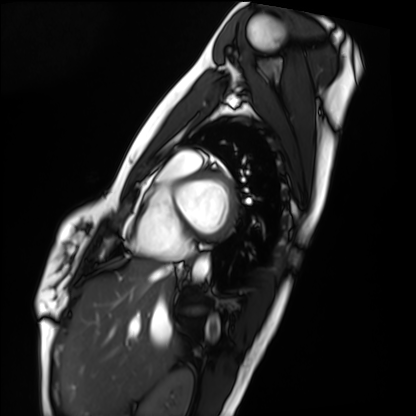
modality — cardiac MRI
subject group — healthy volunteer